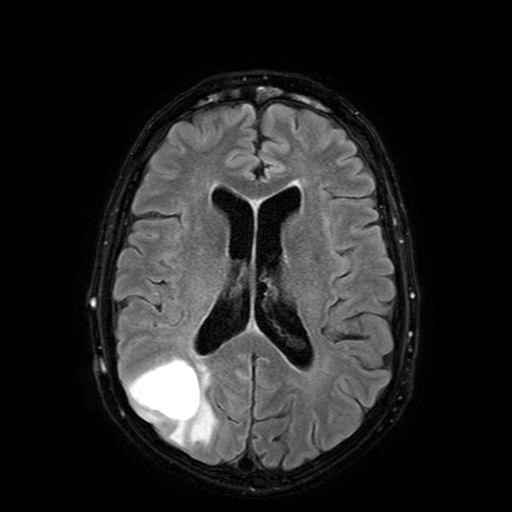
3 Tesla brain MRI. Series: FLAIR with SPAIR. Study: ring-enhancing brain masses.